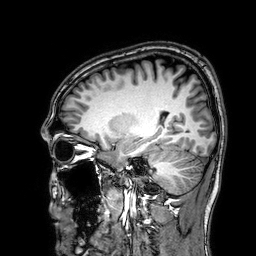
{
  "modality": {
    "type": "brain MRI",
    "field_strength": "3T"
  },
  "study_topic": "ring-enhancing brain masses"
}